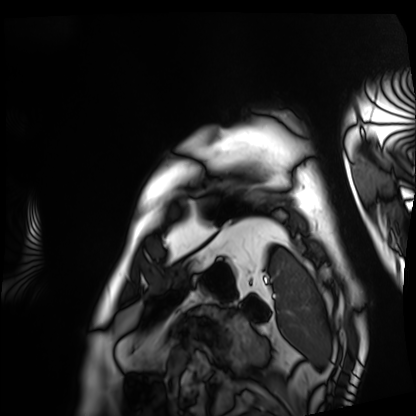
modality=cardiac MRI; subject group=patient.